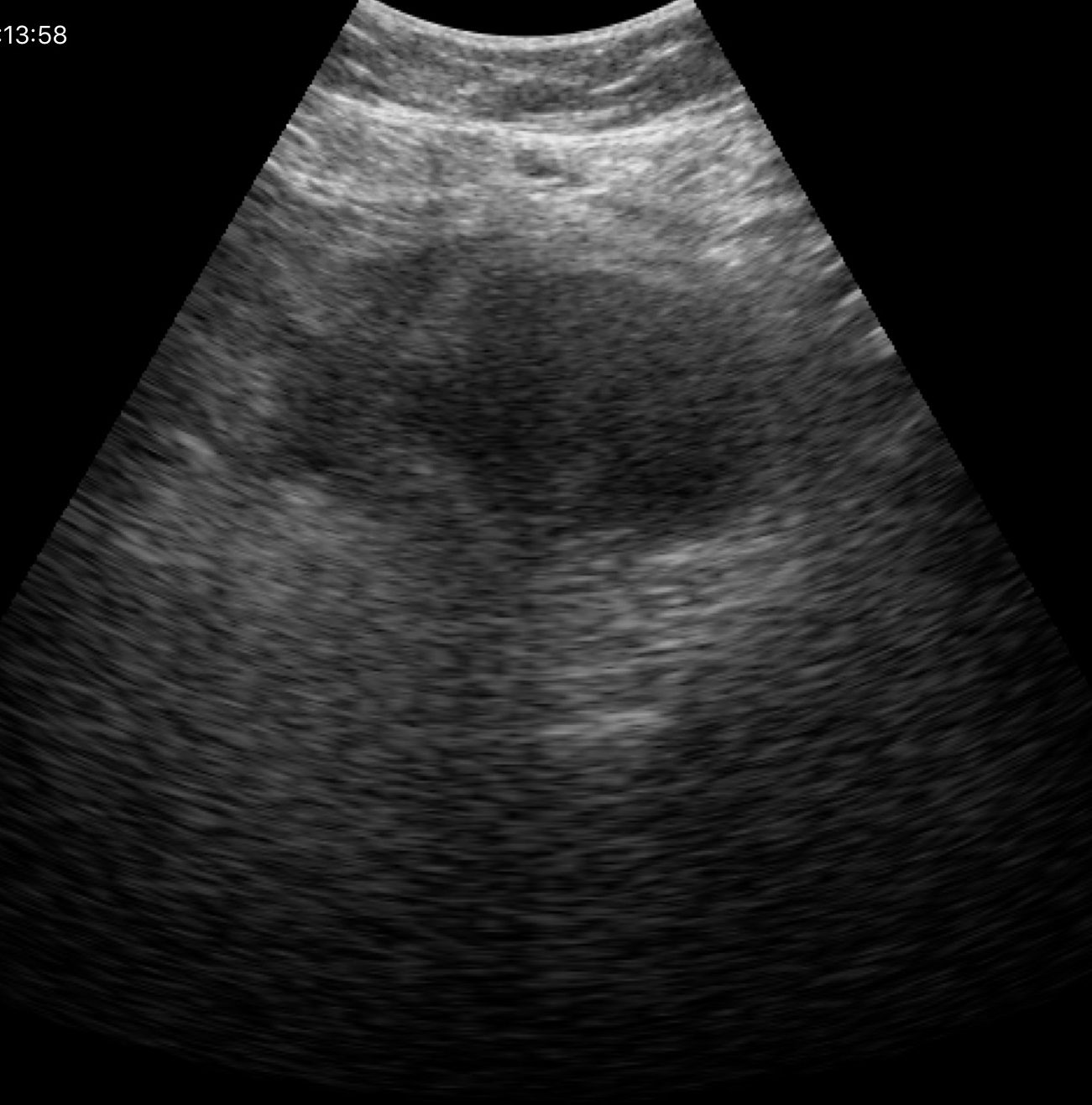
Genitourinary ultrasound.